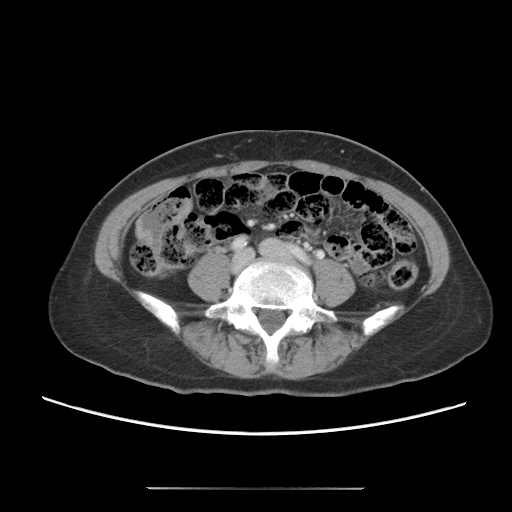
Case summary:
Multiphase abdominal CT, liver, portal venous phase. Patient: female, age 56.